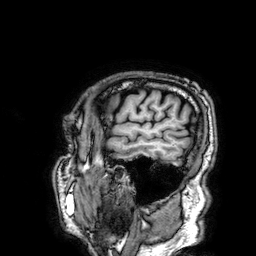
Case:
– modality · 3 Tesla brain MRI
– series · 3D T1-weighted
– study · ring-enhancing brain masses